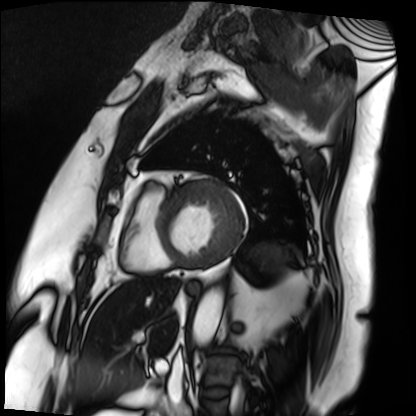
Q: What kind of scan is this?
A: Cardiac MRI.
Subject group: patient.